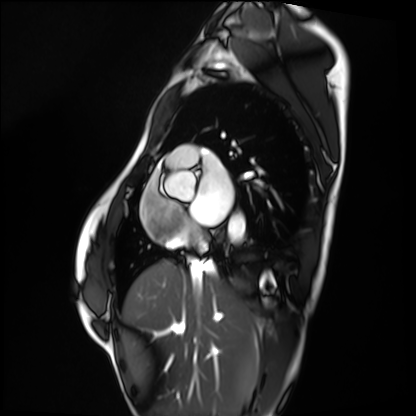
Cardiac MRI. Subject group: healthy volunteer.